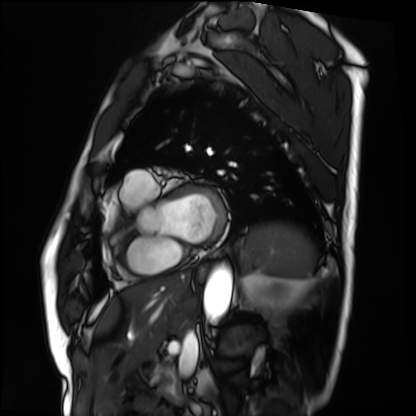
Q: What kind of scan is this?
A: Cardiac MRI.
Subject group: patient.